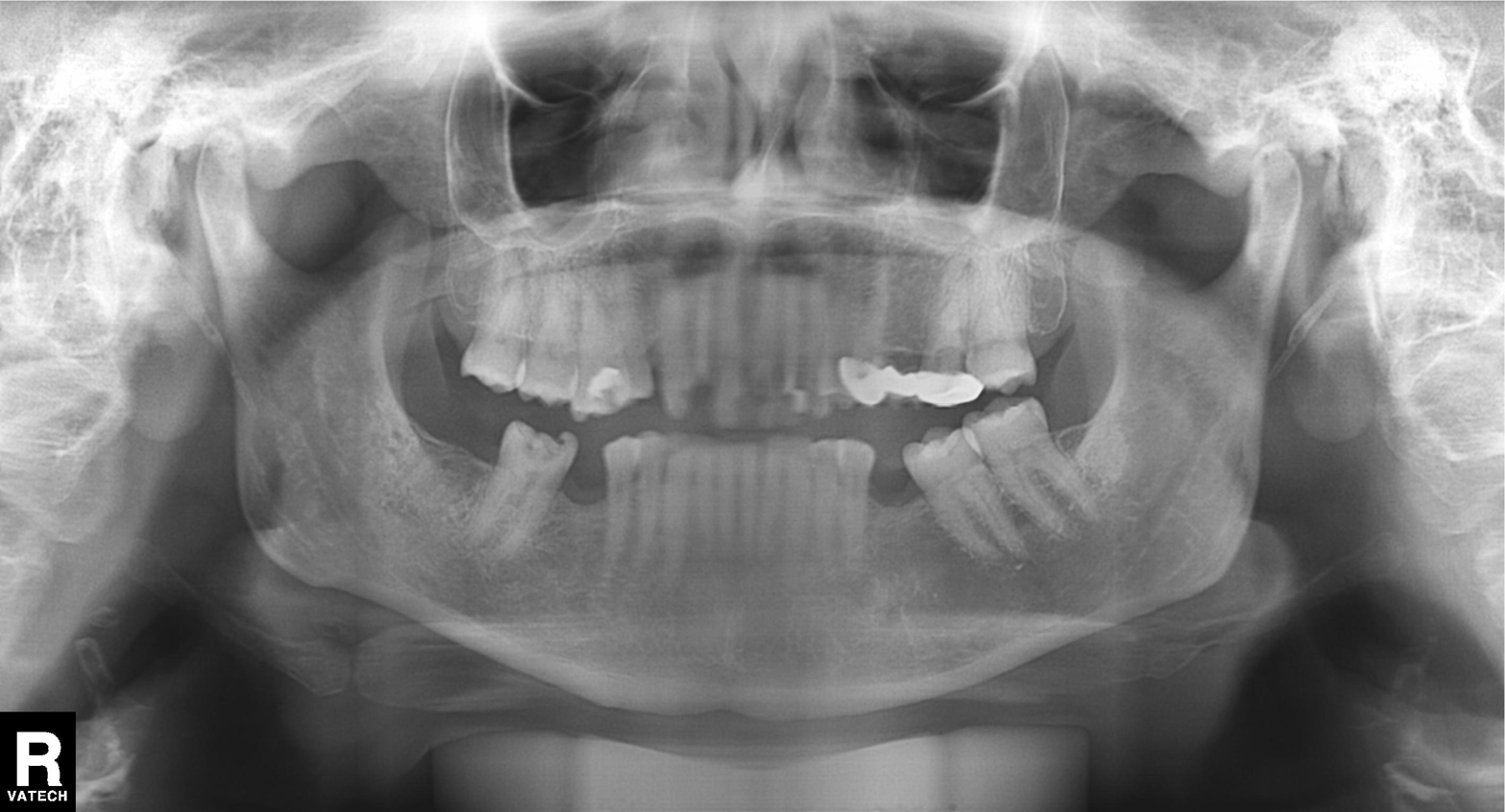
Summary:
Panoramic dental radiograph (orthopantomogram).
Impression:
Dental caries (cavities).